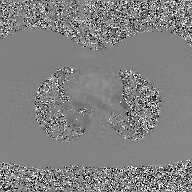
modality=2D phase-contrast cine MRI of the ascending aorta, GAN super-resolution reconstruction.